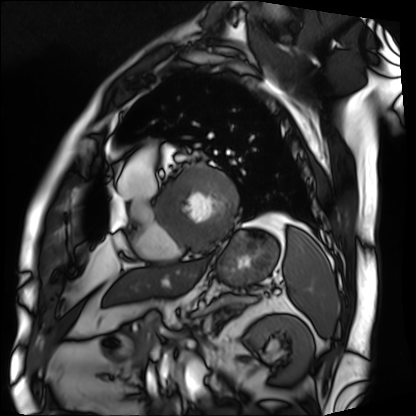
{
  "modality": "cardiac MRI",
  "cohort": "patient"
}